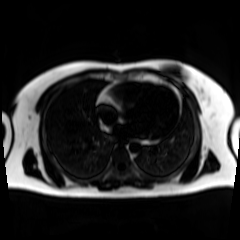
Chemical-shift-encoded cardiac MRI.